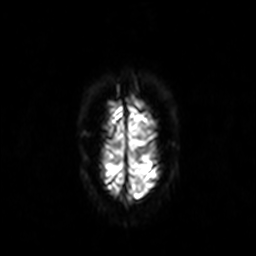
Summary:
3 Tesla brain MRI. Series: diffusion-weighted imaging. Study: ring-enhancing brain masses.